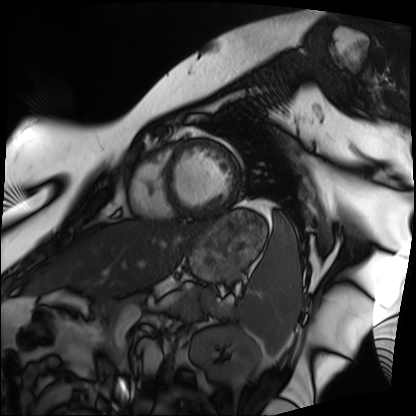
  modality: cardiac MRI
  cohort: patient